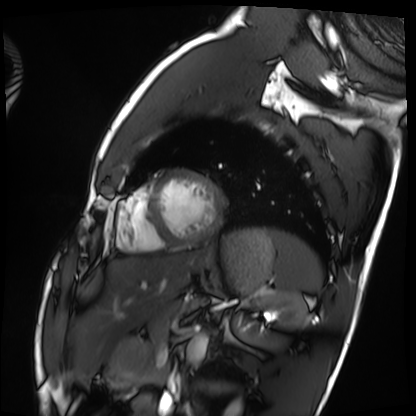
<study>
<modality>cardiac MRI</modality>
<cohort>healthy volunteer</cohort>
</study>